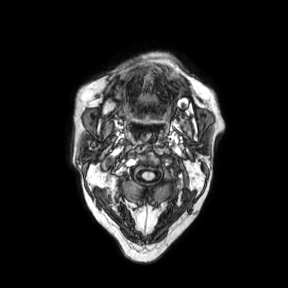
3 Tesla brain MRI. Series: axial. Study: ring-enhancing brain masses.